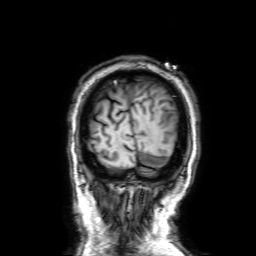
3 Tesla brain MRI. Series: 3D T1-weighted with SENSE. Study: ring-enhancing brain masses.